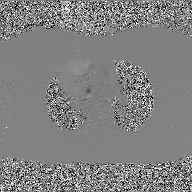
modality = 2D phase-contrast cine MRI of the ascending aorta, GAN super-resolution reconstruction